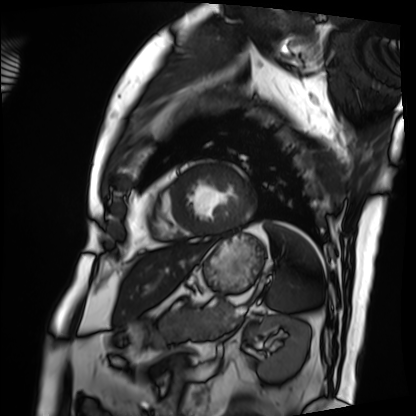
Cardiac MRI. Subject group: patient.